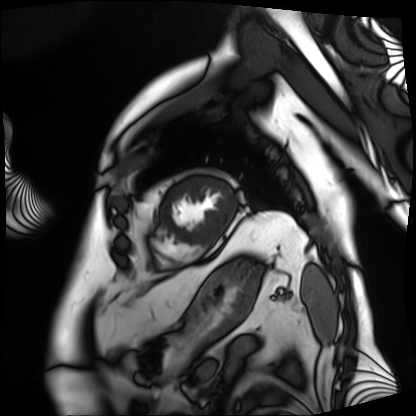
{
  "modality": "cardiac MRI",
  "cohort": "patient"
}